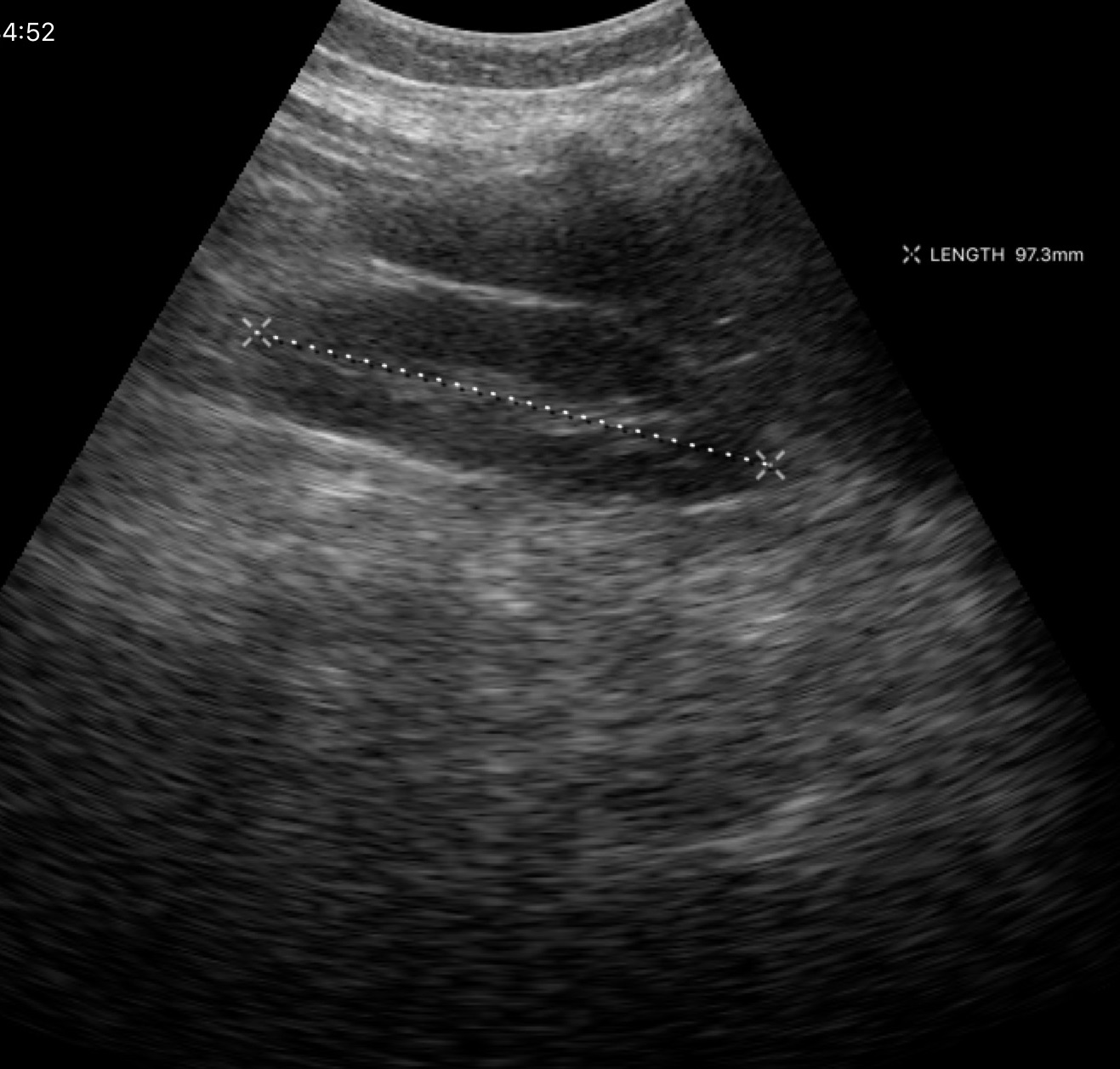
Summary:
Genitourinary ultrasound.